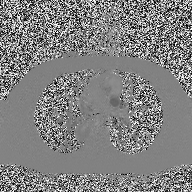
2D phase-contrast cine MRI of the ascending aorta, high-resolution GRAPPA acquisition.